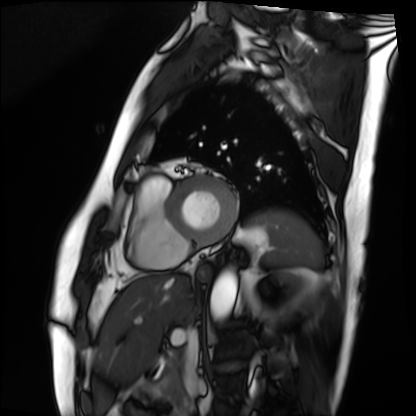
modality = cardiac MRI; subject group = patient.